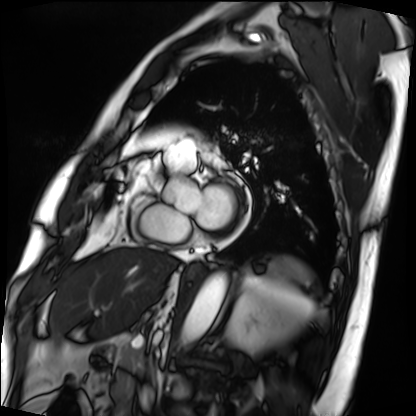
Summary: Cardiac MRI. Subject group: patient.